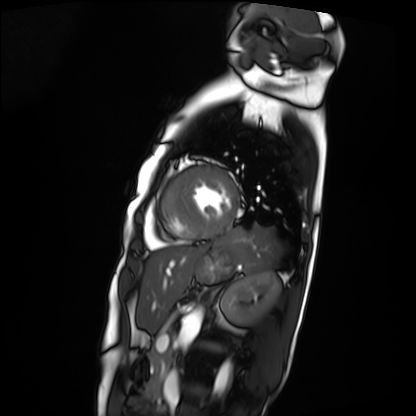
Cardiac MRI.
Subject group: patient.